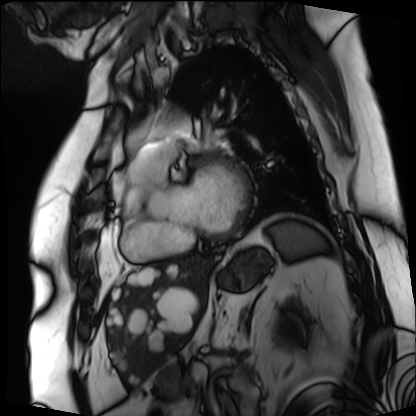
Clinical context:
Cardiac MRI. Subject group: patient.